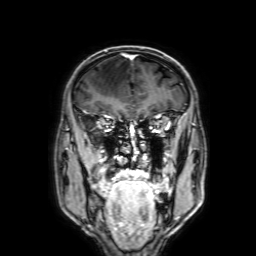
- modality · 3 Tesla brain MRI
- series · 3D T1-weighted with SENSE
- study · ring-enhancing brain masses